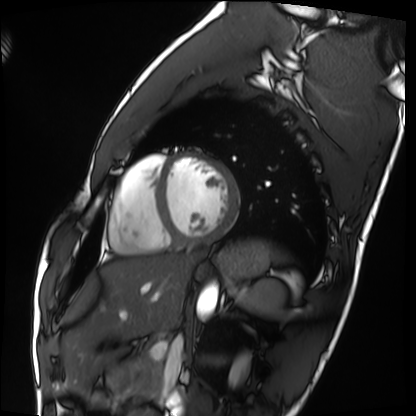
modality: cardiac MRI, subject group: healthy volunteer.